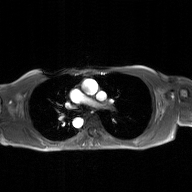
{
  "modality": {
    "type": "2D phase-contrast cine MRI",
    "region": "ascending aorta",
    "reconstruction": "GAN super-resolution reconstruction"
  }
}